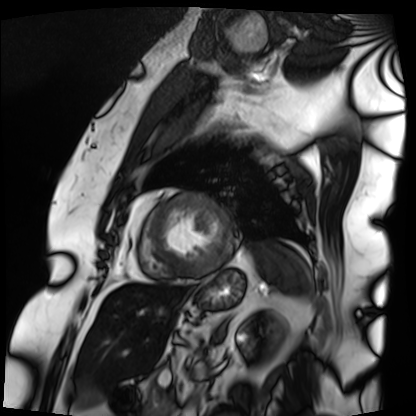
<record>
<modality>cardiac MRI</modality>
<cohort>patient</cohort>
</record>